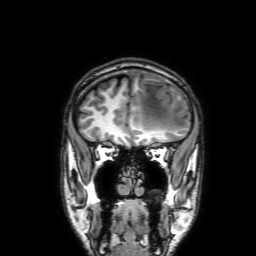
Case:
* modality: 3 Tesla brain MRI
* series: 3D T1-weighted with SENSE
* study: ring-enhancing brain masses